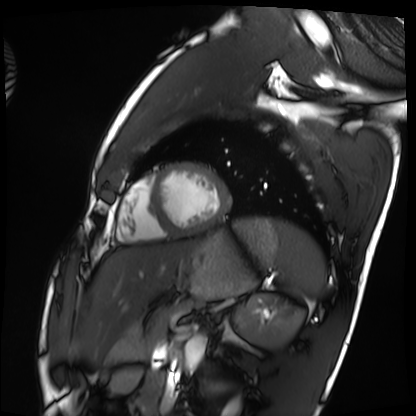
Q: What kind of scan is this?
A: Cardiac MRI.
Subject group: healthy volunteer.